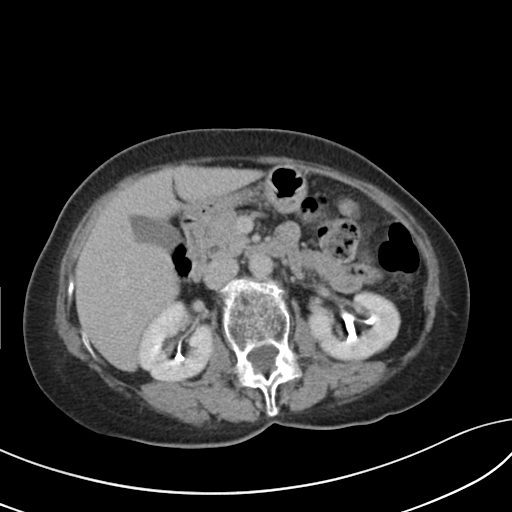
Q: What kind of scan is this?
A: Multiphase abdominal CT, liver, delayed phase.
Q: Patient?
A: Female, age 67.